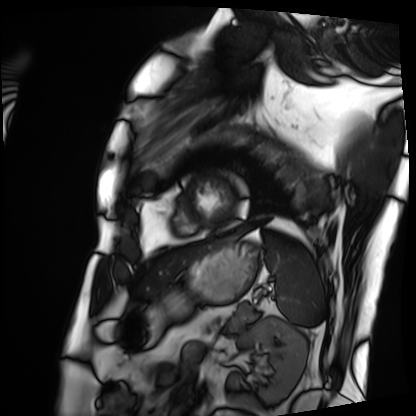
Summary:
Cardiac MRI. Subject group: patient.